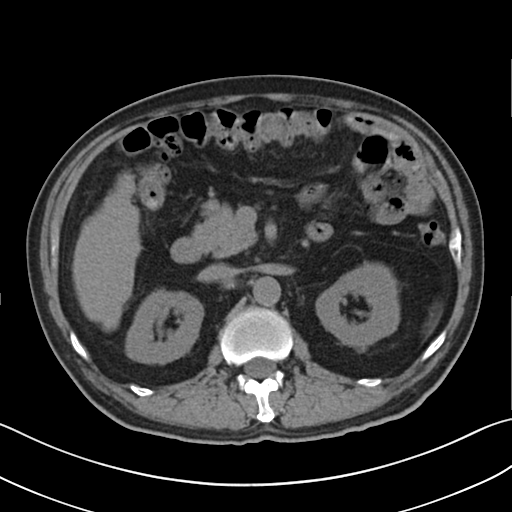
Case summary: Multiphase abdominal CT, liver, non-contrast phase.